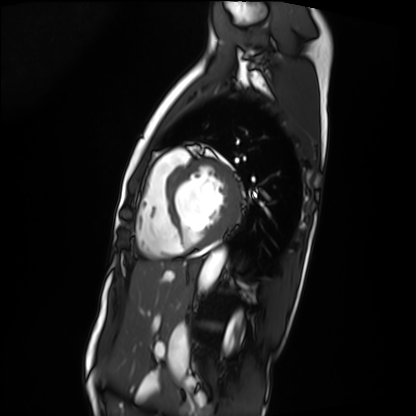
modality = cardiac MRI
subject group = patient